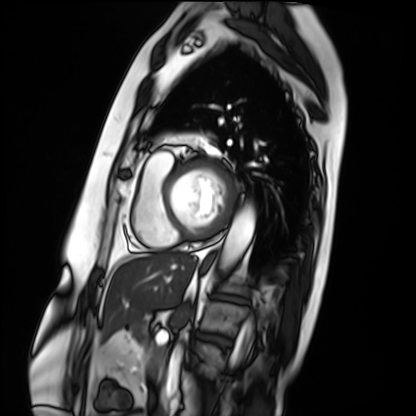
{"modality": "cardiac MRI", "cohort": "patient"}